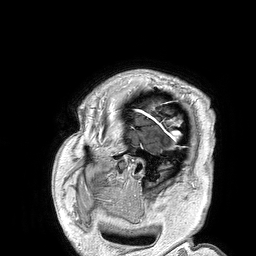
Clinical context:
3 Tesla brain MRI. Series: 3D T1-weighted turbo field echo. Study: ring-enhancing brain masses.